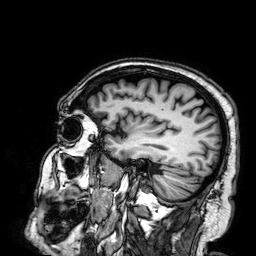
{"modality": {"type": "brain MRI", "field_strength": "3T"}, "series": "3D T1-weighted", "study_topic": "ring-enhancing brain masses"}